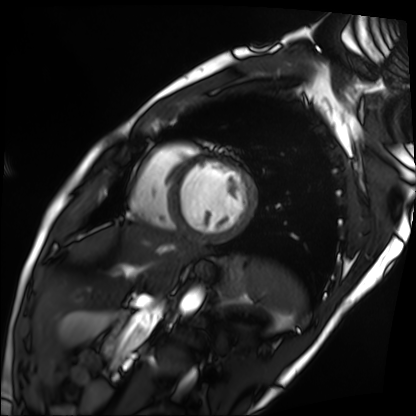
Cardiac MRI. Subject group: patient.